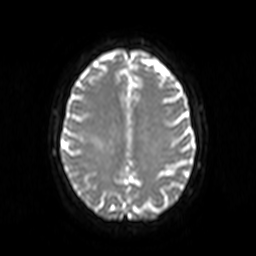
| field | value |
|---|---|
| modality | 3 Tesla brain MRI |
| series | diffusion-weighted imaging |
| study | ring-enhancing brain masses |